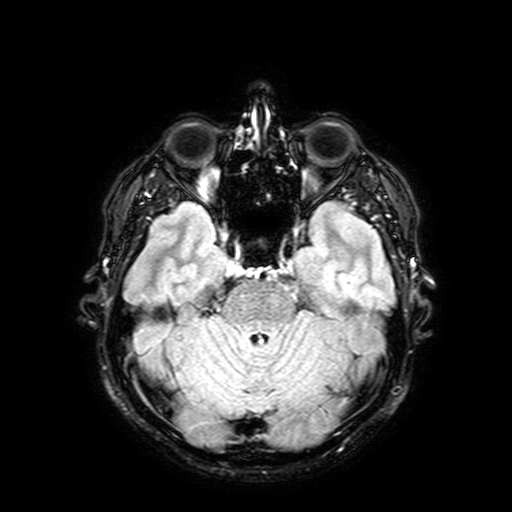
Case:
• modality: 3 Tesla brain MRI
• series: FLAIR with SPAIR, 3 mm
• study: ring-enhancing brain masses